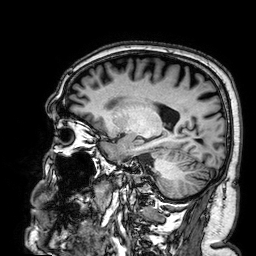
modality: 3 Tesla brain MRI; series: 3D T1-weighted; study: ring-enhancing brain masses.